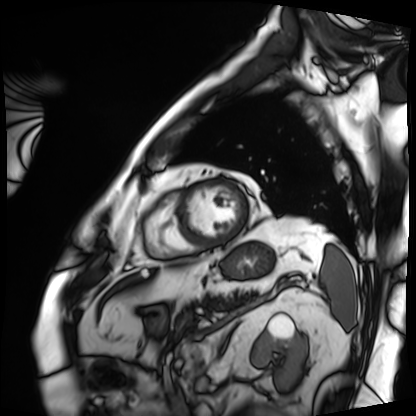
Clinical context:
Cardiac MRI. Subject group: patient.